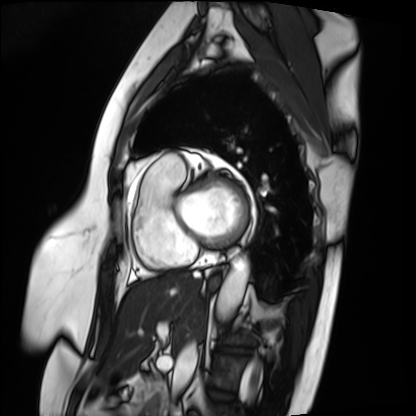
Cardiac MRI. Subject group: patient.